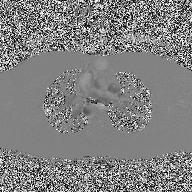
modality = 2D phase-contrast cine MRI of the ascending aorta